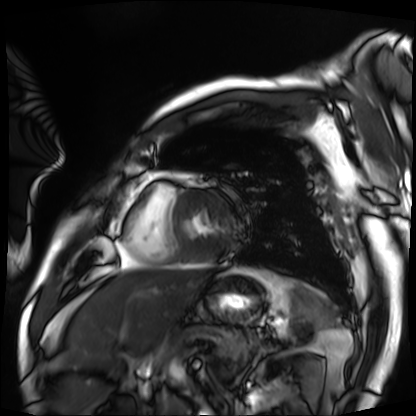
Q: What kind of scan is this?
A: Cardiac MRI.
Subject group: patient.